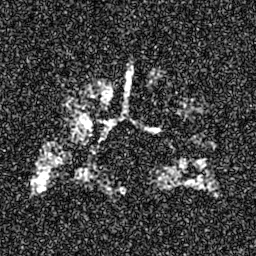
{
  "modality": "hyperpolarized 129Xe ventilation MRI of the lungs",
  "snr_level": "8 of 8 (the deposit holds this scan as its native image and as seven SNR-degraded versions)"
}